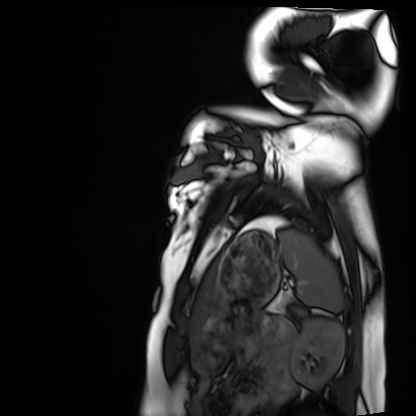
{
  "modality": "cardiac MRI",
  "cohort": "healthy volunteer"
}